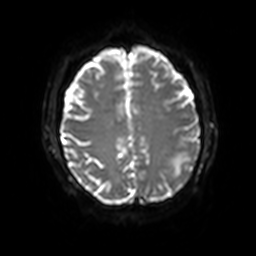
Summary: 3 Tesla brain MRI. Series: diffusion-weighted imaging with SENSE (WIP). Study: ring-enhancing brain masses.